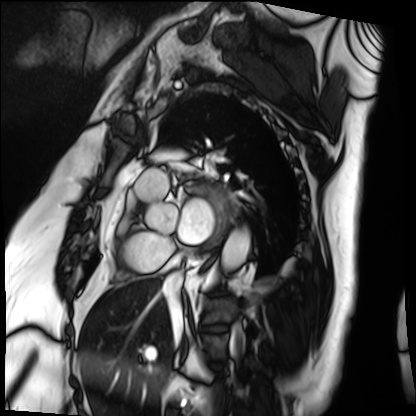
modality: cardiac MRI, subject group: patient.